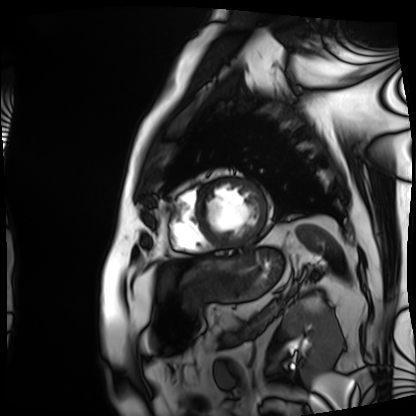
<study>
  <modality>cardiac MRI</modality>
  <cohort>patient</cohort>
</study>